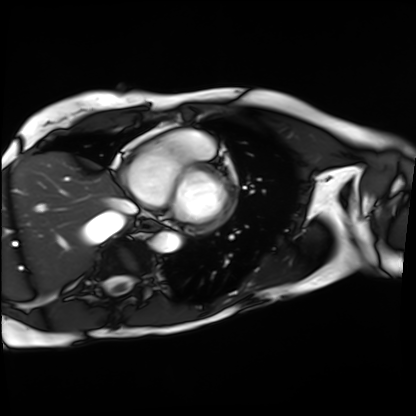
Clinical context: Cardiac MRI. Subject group: patient.